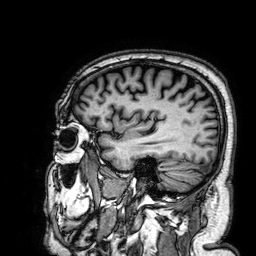
Summary: 3 Tesla brain MRI. Series: 3D T1-weighted. Study: ring-enhancing brain masses.